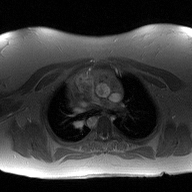
Summary:
2D phase-contrast cine MRI of the ascending aorta, high-resolution GRAPPA acquisition.